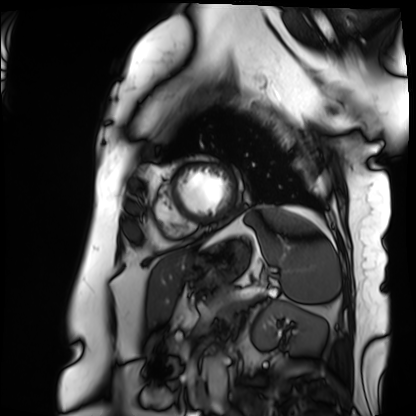
modality: cardiac MRI; subject group: patient.